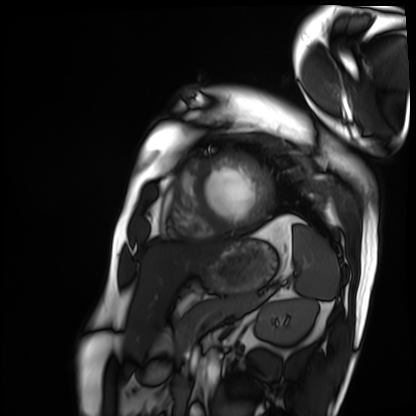
• modality: cardiac MRI
• subject group: patient